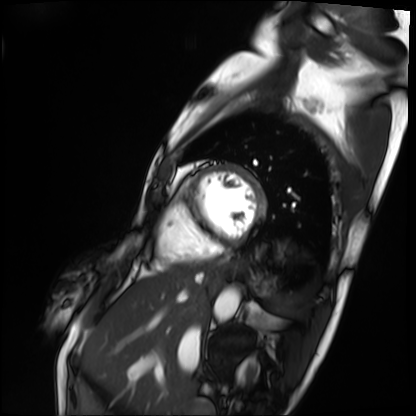
{
  "modality": "cardiac MRI",
  "cohort": "patient"
}